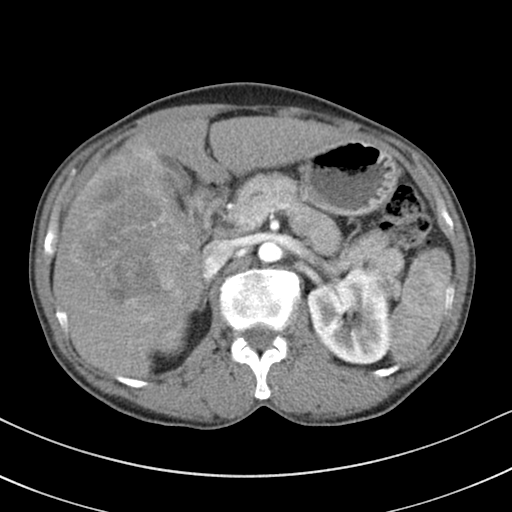
Multiphase abdominal CT, liver, arterial phase. Patient: male, age 51.